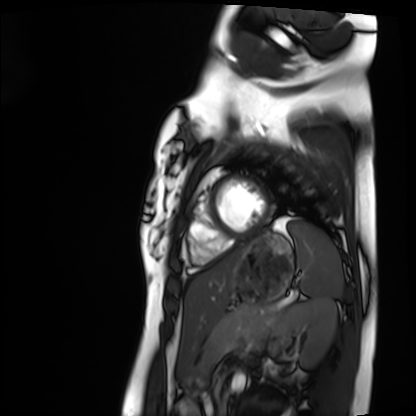
Clinical context: Cardiac MRI. Subject group: healthy volunteer.